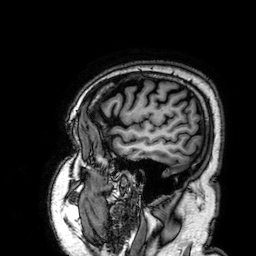
| field | value |
|---|---|
| modality | 3 Tesla brain MRI |
| series | 3D T1-weighted |
| study | ring-enhancing brain masses |